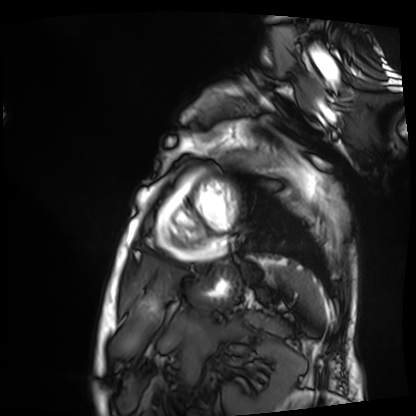
Cardiac MRI.
Subject group: patient.